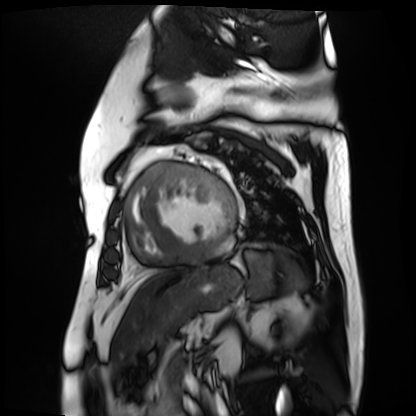
  modality: cardiac MR image of the myocardium
  cohort: cardiac patient